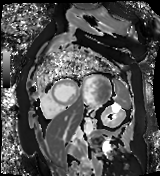
Case:
- modality — cardiac MR image of the myocardium
- subject cohort — cardiac patient